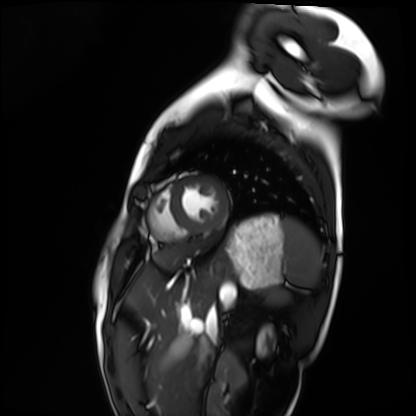
Cardiac MRI.
Subject group: healthy volunteer.